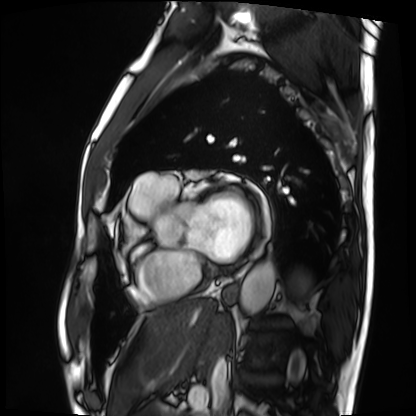
Case summary:
Cardiac MRI. Subject group: patient.